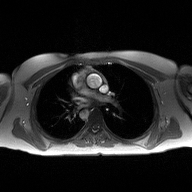
Summary: 2D phase-contrast cine MRI of the ascending aorta, high-resolution GRAPPA acquisition.